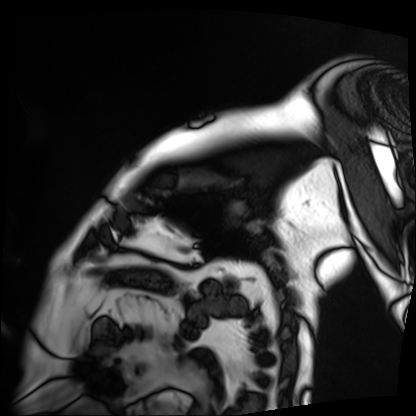
Cardiac MRI. Subject group: patient.